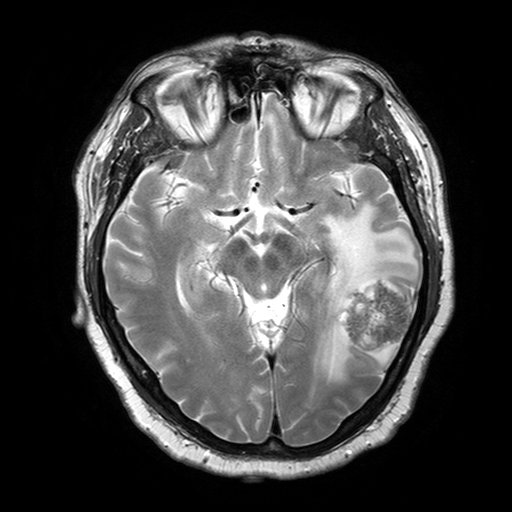
<case>
  <modality>
    <type>brain MRI</type>
    <field_strength>3T</field_strength>
  </modality>
  <series>T2-weighted turbo spin echo with SENSE</series>
  <study_topic>ring-enhancing brain masses</study_topic>
</case>